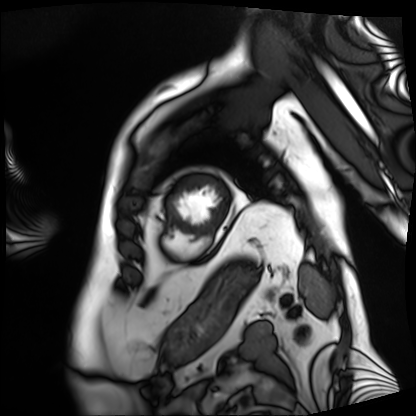
modality=cardiac MRI; subject group=patient.